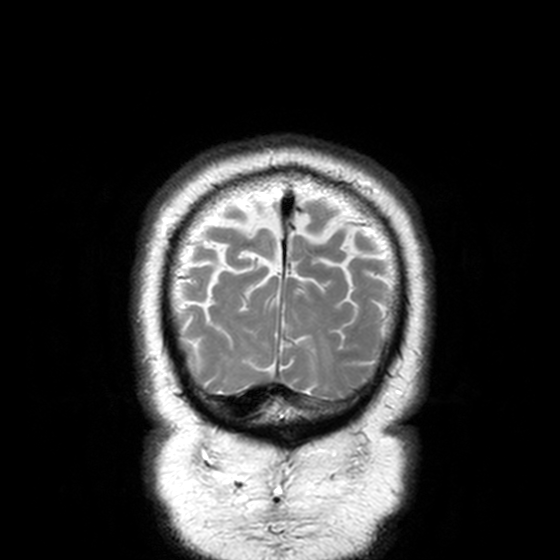
3 Tesla brain MRI. Series: T2-weighted turbo spin echo, 3 mm. Study: ring-enhancing brain masses.